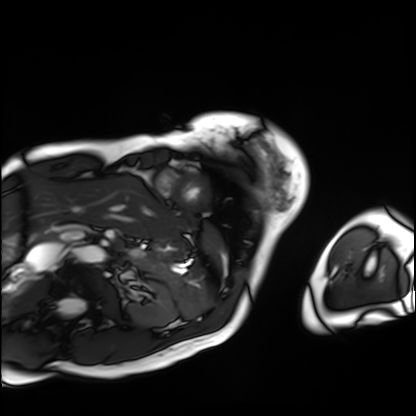
  modality: cardiac MRI
  cohort: patient